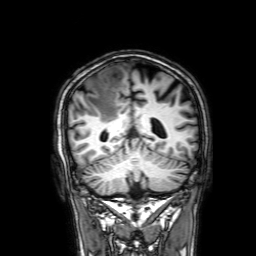
<study>
<modality>
  <type>brain MRI</type>
  <field_strength>3T</field_strength>
</modality>
<study_topic>ring-enhancing brain masses</study_topic>
</study>